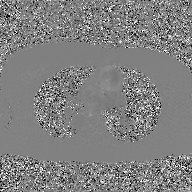
• modality — 2D phase-contrast cine MRI of the ascending aorta, GAN super-resolution reconstruction